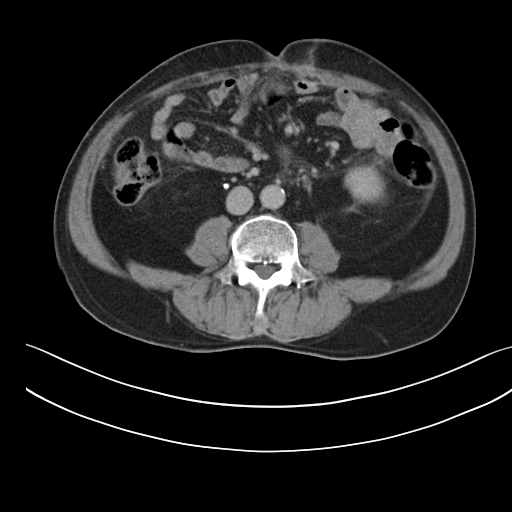
Multiphase abdominal CT, liver, delayed phase. Patient: male, age 56. History: prior chemotherapy.